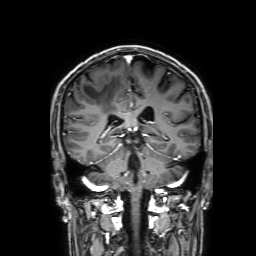
Q: What kind of scan is this?
A: 3 Tesla brain MRI.
Q: Series?
A: 3D T1-weighted with SENSE.
Study: ring-enhancing brain masses.